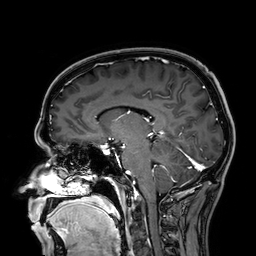
modality — 3 Tesla brain MRI | series — 3D T1-weighted | study — ring-enhancing brain masses.